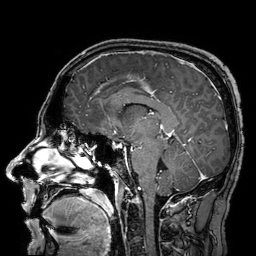
3 Tesla brain MRI.
Study: ring-enhancing brain masses.